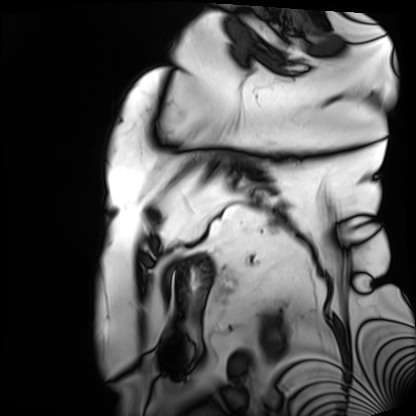
Cardiac MRI. Subject group: patient.